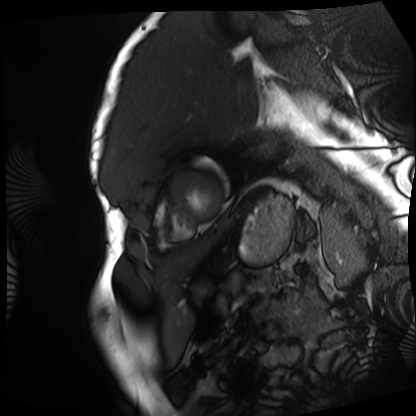
  modality: cardiac MRI
  cohort: patient